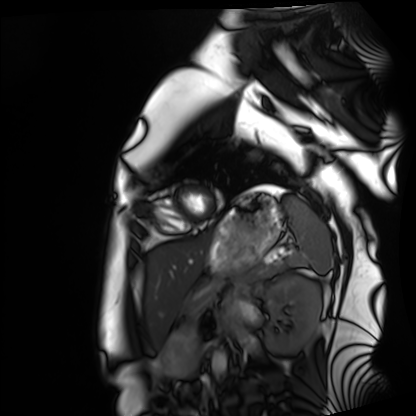
Summary: Cardiac MRI. Subject group: healthy volunteer.